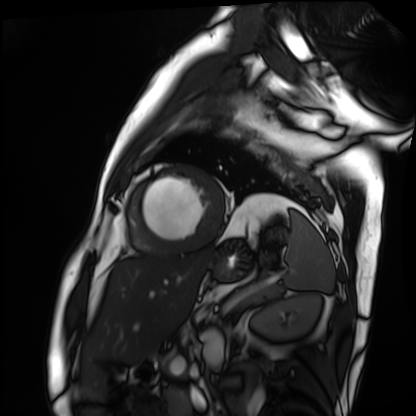
Q: What kind of scan is this?
A: Cardiac MRI.
Subject group: patient.